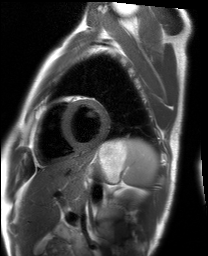
Summary:
Cardiac MRI. Subject group: healthy volunteer.